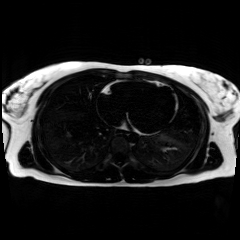
- modality: chemical-shift-encoded cardiac MRI